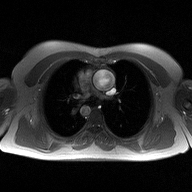
2D phase-contrast cine MRI of the ascending aorta, high-resolution GRAPPA acquisition.